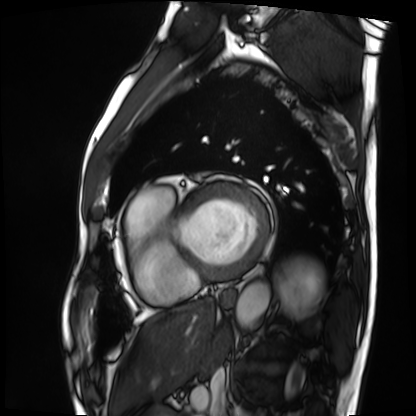
{
  "modality": "cardiac MRI",
  "cohort": "patient"
}